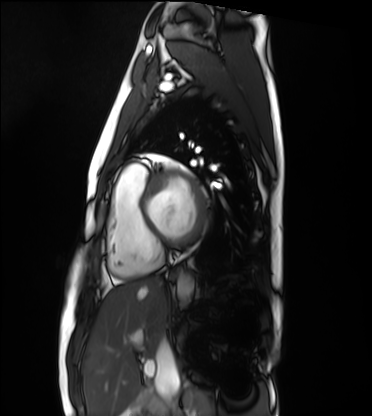
Summary: Cardiac MRI. Subject group: healthy volunteer.